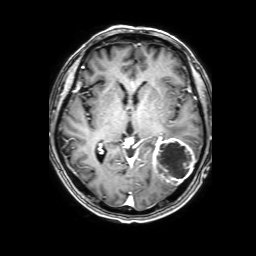
{
  "modality": {
    "type": "brain MRI",
    "field_strength": "3T"
  },
  "series": "3D T1-weighted with SENSE",
  "study_topic": "ring-enhancing brain masses"
}